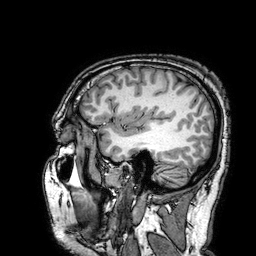
3 Tesla brain MRI. Series: 3D T1-weighted turbo field echo with SENSE. Study: ring-enhancing brain masses.